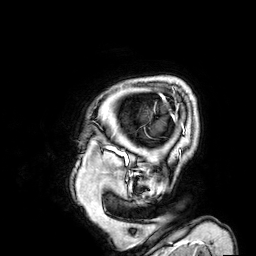
* modality: 3 Tesla brain MRI
* series: 3D T1-weighted
* study: ring-enhancing brain masses